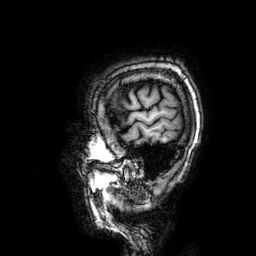
Case summary: 3 Tesla brain MRI. Series: 3D T1-weighted. Study: ring-enhancing brain masses.